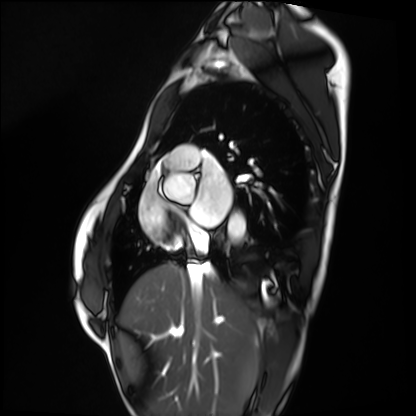
Cardiac MRI. Subject group: healthy volunteer.